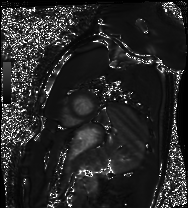
{
  "modality": "cardiac MRI",
  "cohort": "healthy volunteer"
}